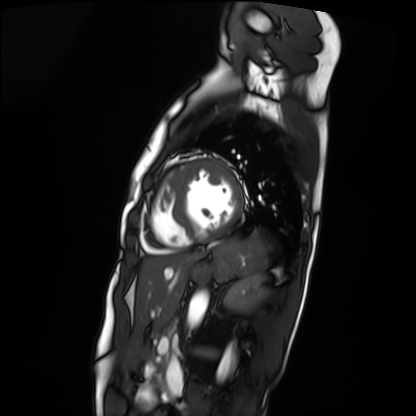
Cardiac MRI. Subject group: patient.